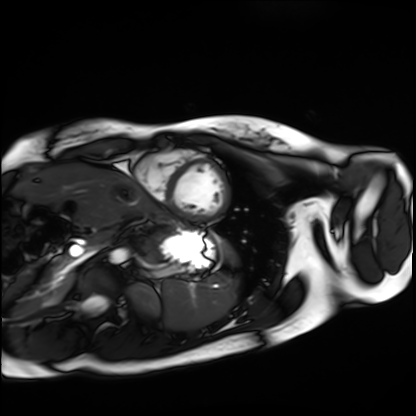
{
  "modality": "cardiac MRI",
  "cohort": "healthy volunteer"
}